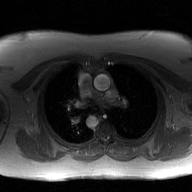
modality — 2D phase-contrast cine MRI of the ascending aorta, GAN super-resolution reconstruction